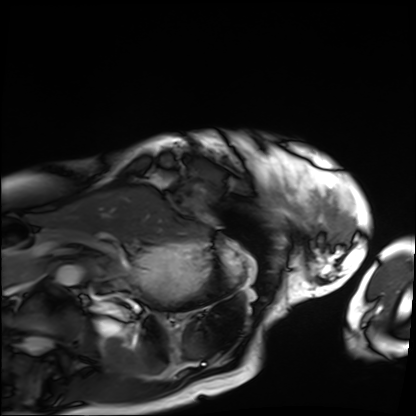
Summary: Cardiac MRI. Subject group: patient.